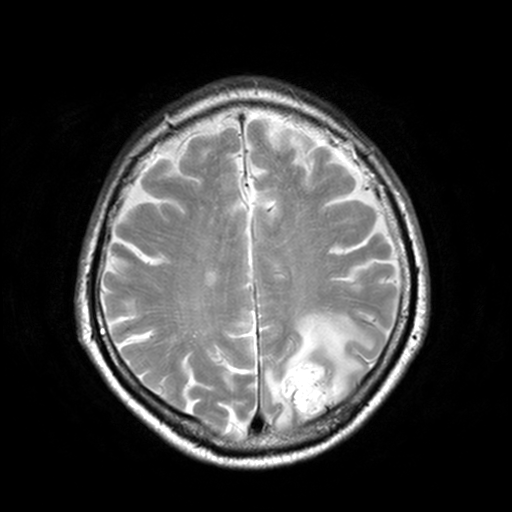
modality = 3 Tesla brain MRI | series = T2-weighted turbo spin echo, 3 mm | study = ring-enhancing brain masses.